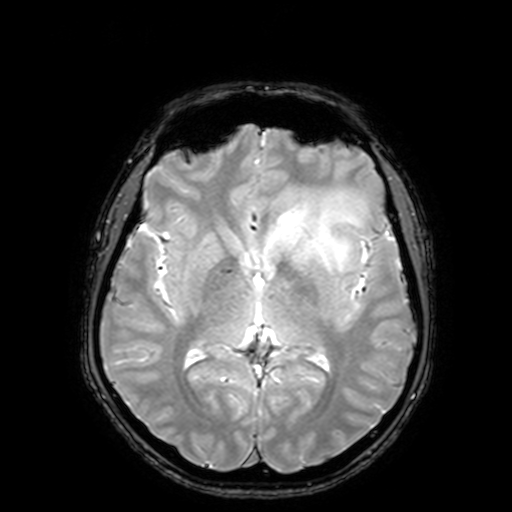
Summary:
3 Tesla brain MRI. Series: T2-weighted fast field echo with SENSE. Study: ring-enhancing brain masses.